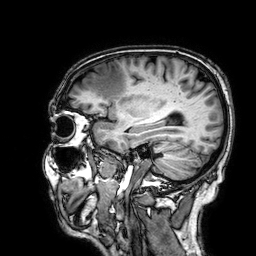
modality = 3 Tesla brain MRI; series = 3D T1-weighted; study = ring-enhancing brain masses.